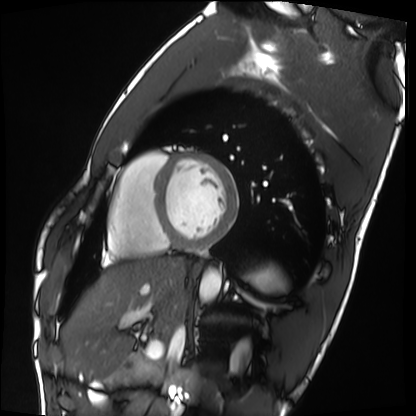
modality = cardiac MRI; subject group = healthy volunteer.